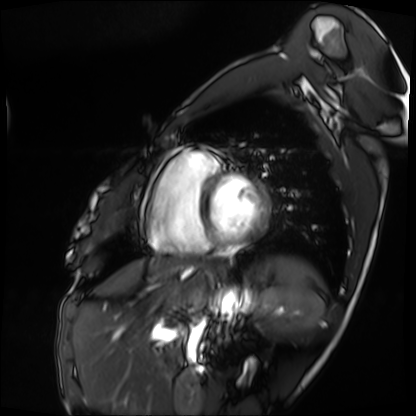
Q: What kind of scan is this?
A: Cardiac MRI.
Subject group: patient.